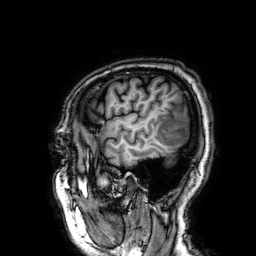
3 Tesla brain MRI. Series: 3D T1-weighted. Study: ring-enhancing brain masses.